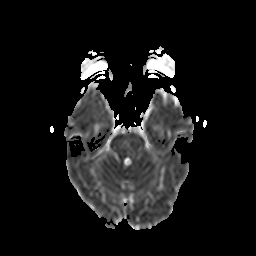
Clinical context:
3 Tesla brain MRI. Series: diffusion-weighted imaging with CLEAR. Study: ring-enhancing brain masses.